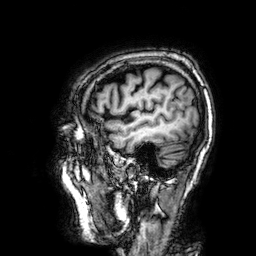
modality — 3 Tesla brain MRI
series — 3D T1-weighted
study — ring-enhancing brain masses